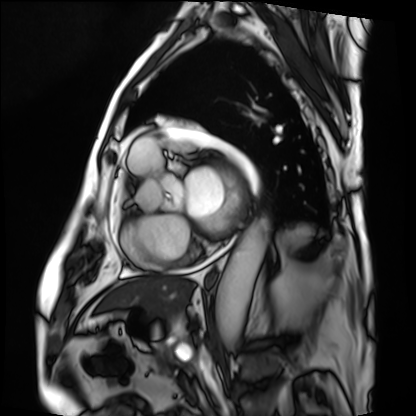
Cardiac MRI.
Subject group: patient.